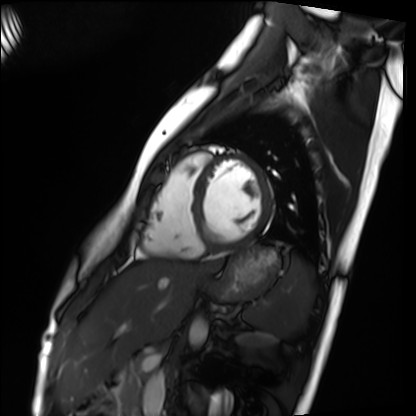
<study>
<modality>cardiac MRI</modality>
<cohort>healthy volunteer</cohort>
</study>